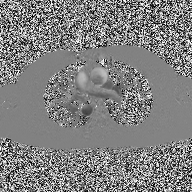
Case:
– modality — 2D phase-contrast cine MRI of the ascending aorta